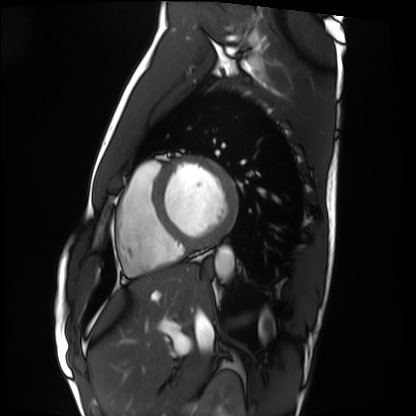
Cardiac MRI.
Subject group: healthy volunteer.